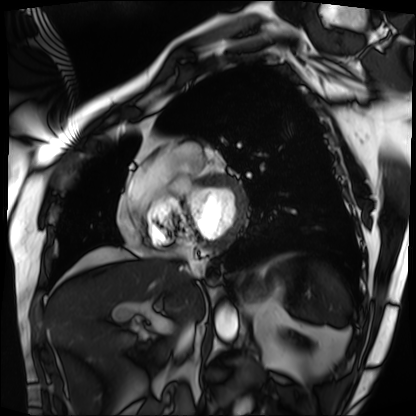
Clinical context: Cardiac MRI. Subject group: patient.